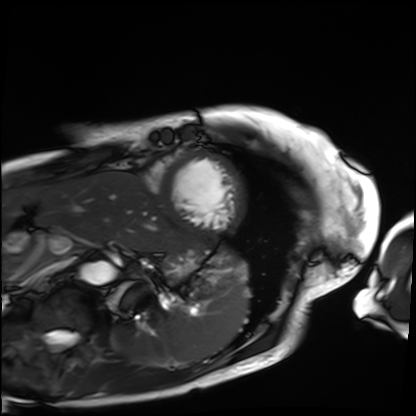
{"modality": "cardiac MRI", "cohort": "patient"}